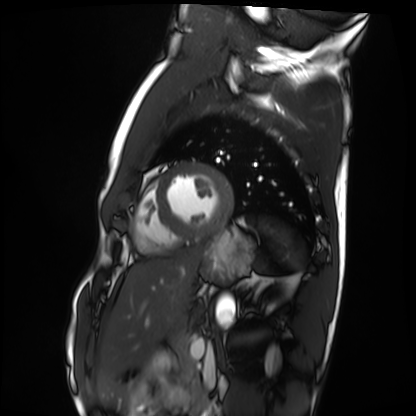
modality: cardiac MRI | subject group: healthy volunteer.